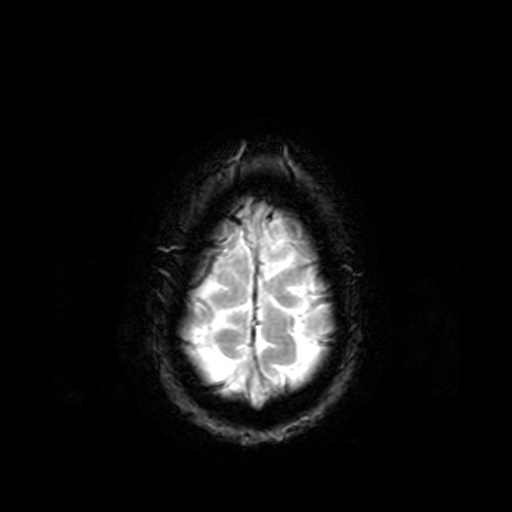
Summary:
3 Tesla brain MRI. Series: T2-weighted fast field echo. Study: ring-enhancing brain masses.